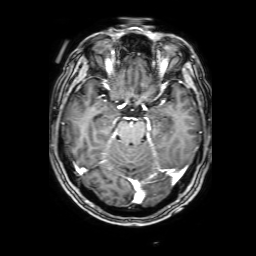
3 Tesla brain MRI. Series: 3D T1-weighted with SENSE. Study: ring-enhancing brain masses.